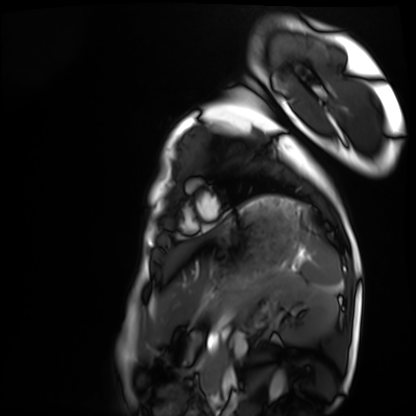
{"modality": "cardiac MRI", "cohort": "healthy volunteer"}